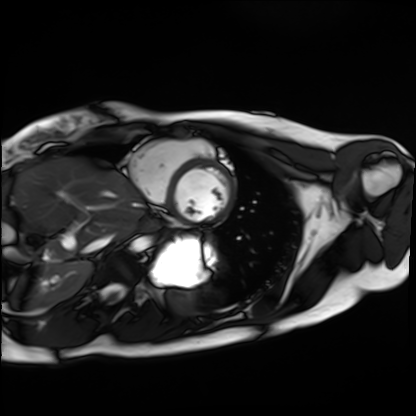
Cardiac MRI.
Subject group: healthy volunteer.